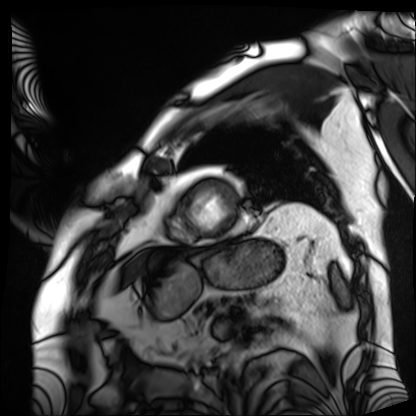
Cardiac MRI.
Subject group: patient.